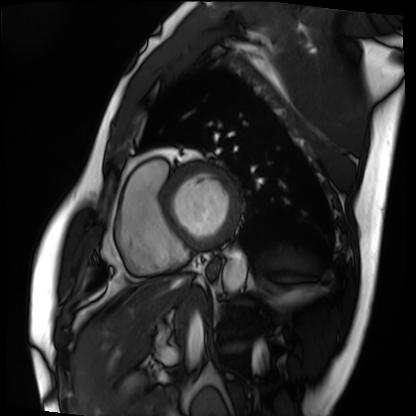
Cardiac MRI. Subject group: patient.